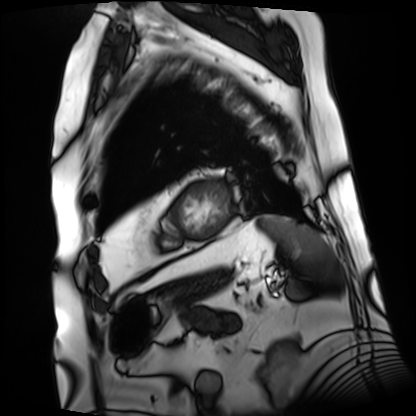
Case summary: Cardiac MRI. Subject group: patient.